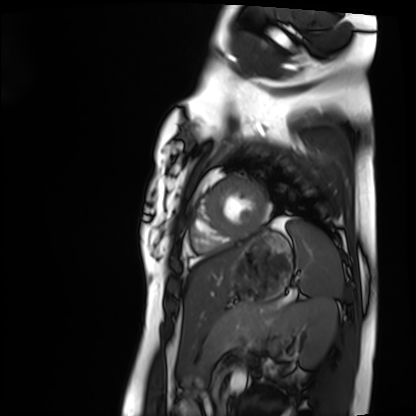
Summary: Cardiac MRI. Subject group: healthy volunteer.